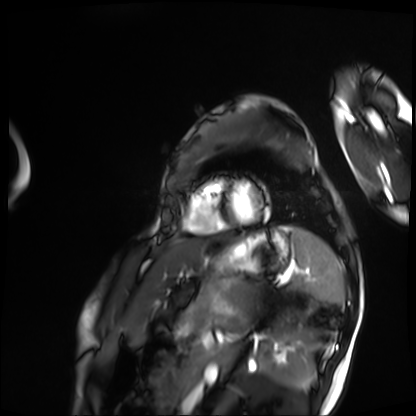
Case:
* modality · cardiac MRI
* subject group · patient